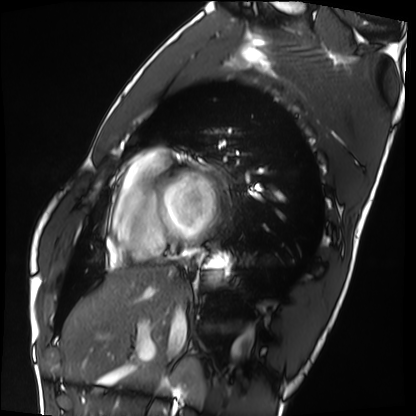
Cardiac MRI. Subject group: healthy volunteer.